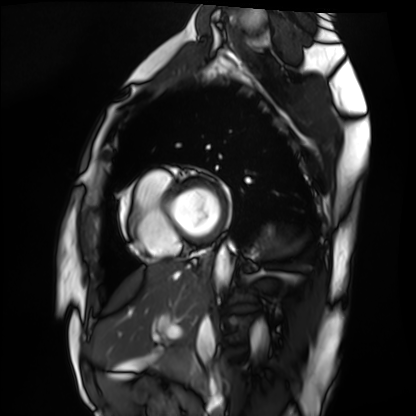
Summary: Cardiac MRI. Subject group: healthy volunteer.